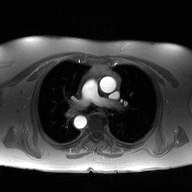
2D phase-contrast cine MRI of the ascending aorta, high-resolution GRAPPA acquisition.